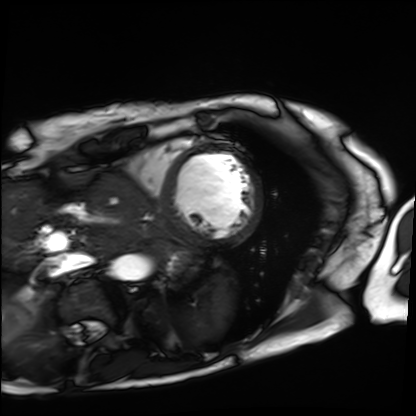
Cardiac MRI. Subject group: patient.